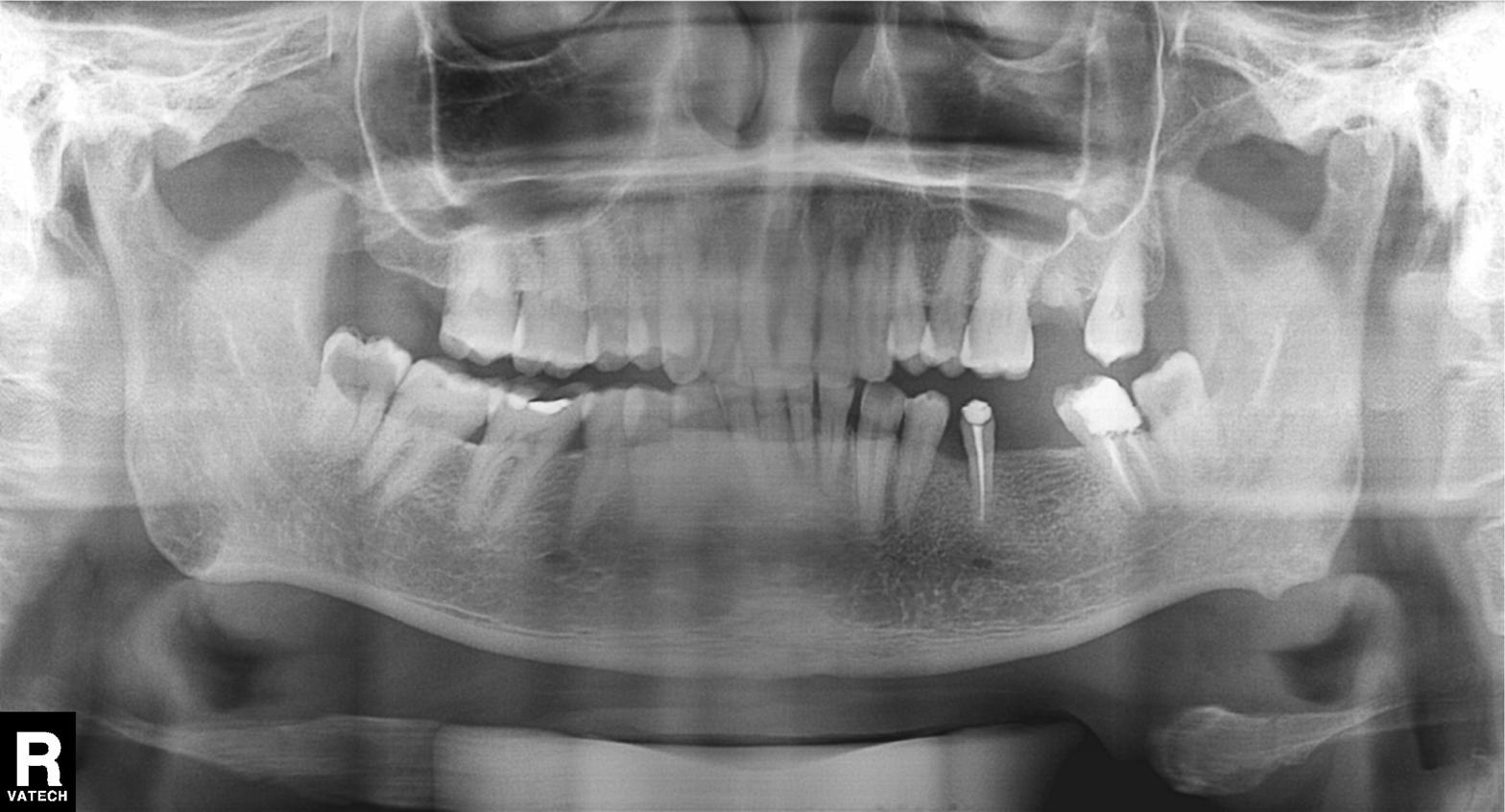
{
  "modality": "panoramic dental radiograph (orthopantomogram)",
  "finding": "dental caries (cavities)"
}